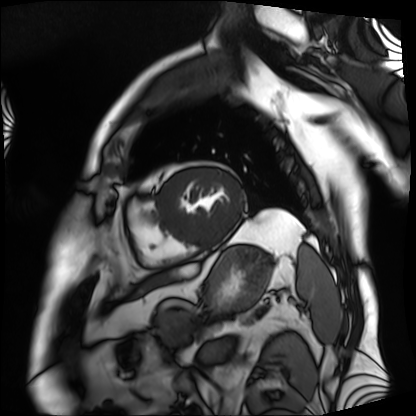
Cardiac MRI. Subject group: patient.